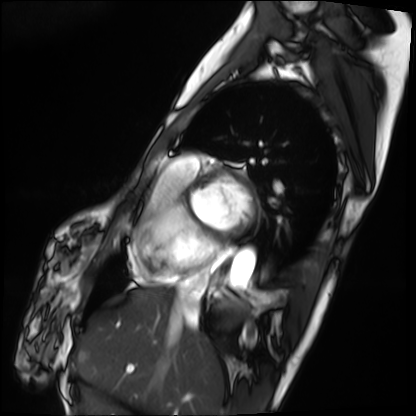
modality=cardiac MRI; subject group=patient.